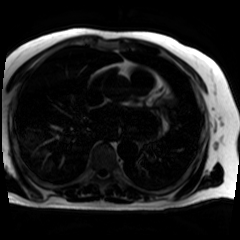
Chemical-shift-encoded cardiac MRI.